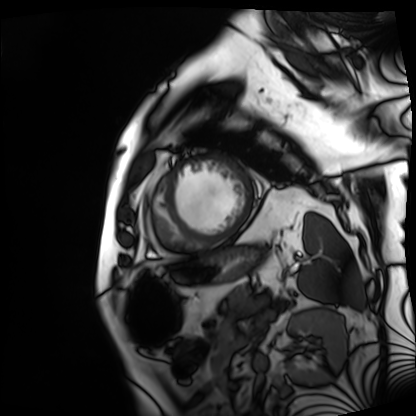
modality: cardiac MRI | subject group: patient.